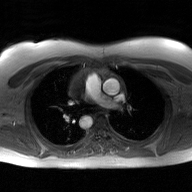
modality: 2D phase-contrast cine MRI of the ascending aorta, GAN super-resolution reconstruction.